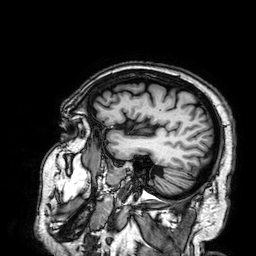
3 Tesla brain MRI. Series: 3D T1-weighted. Study: ring-enhancing brain masses.